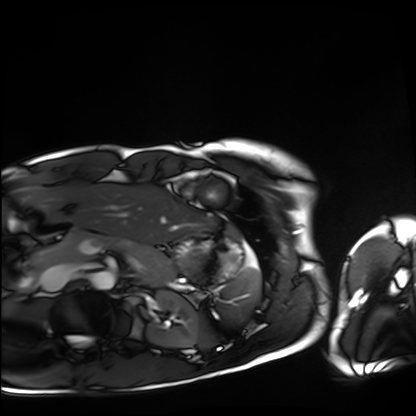
Summary: Cardiac MRI. Subject group: healthy volunteer.